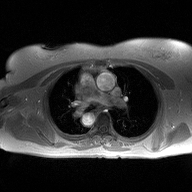
2D phase-contrast cine MRI of the ascending aorta, high-resolution GRAPPA acquisition.